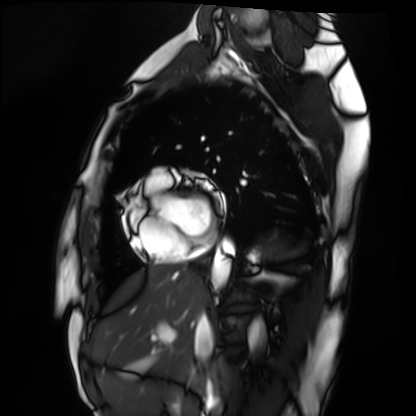
- modality · cardiac MRI
- subject group · healthy volunteer